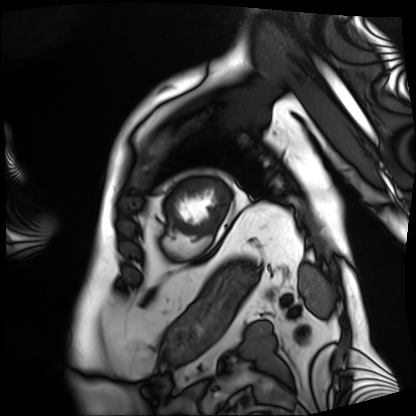
{
  "modality": "cardiac MRI",
  "cohort": "patient"
}